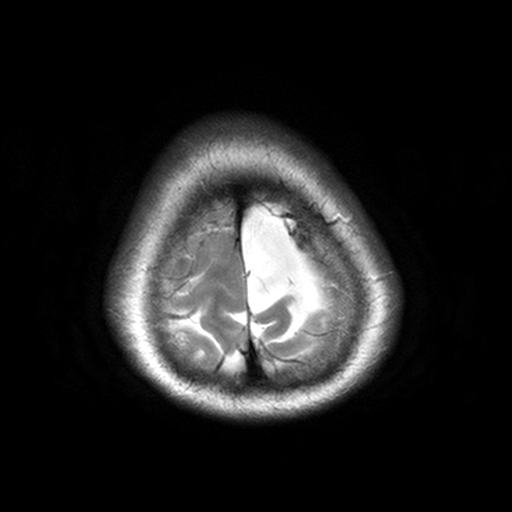
3 Tesla brain MRI. Series: T2-weighted turbo spin echo, 3 mm. Study: ring-enhancing brain masses.